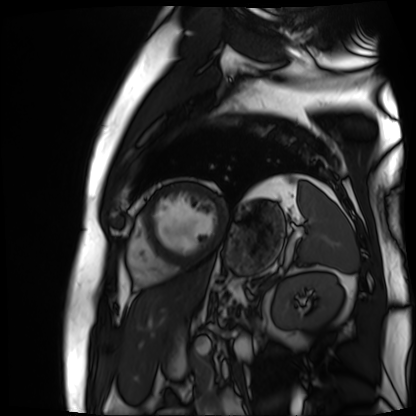
Cardiac MR image of the myocardium. Subject cohort: cardiac patient.